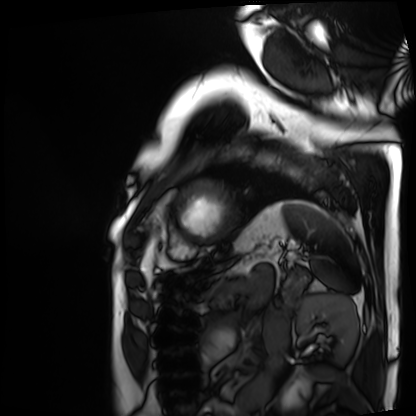
{
  "modality": "cardiac MRI",
  "cohort": "patient"
}